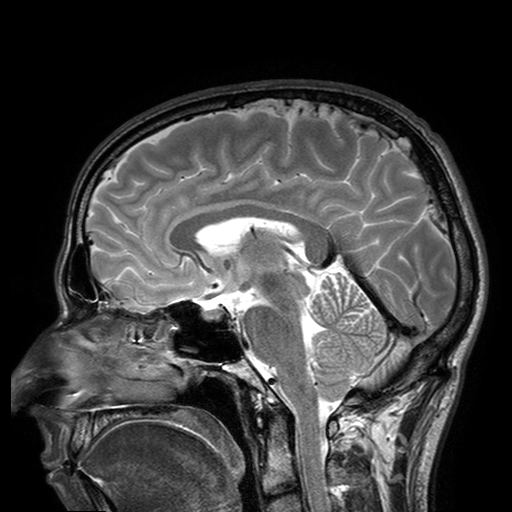
modality = 3 Tesla brain MRI | series = T2-weighted turbo spin echo with SENSE | study = ring-enhancing brain masses.